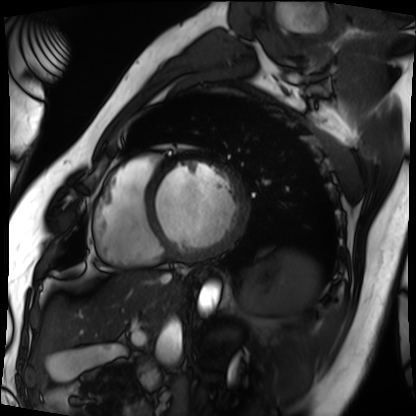
Cardiac MRI. Subject group: patient.